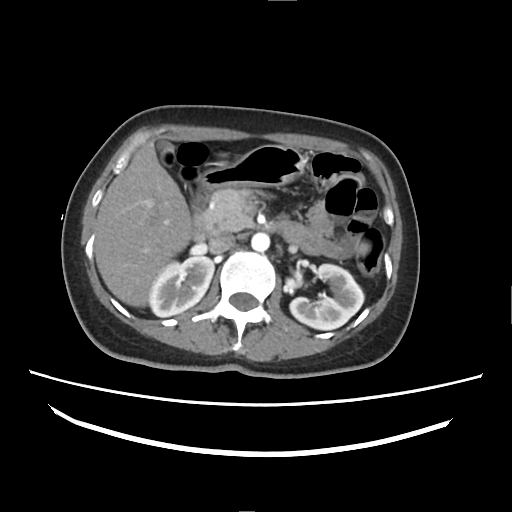
Multiphase abdominal CT, liver, arterial phase. Patient: female, age 38. History: cirrhosis, viral hepatitis.